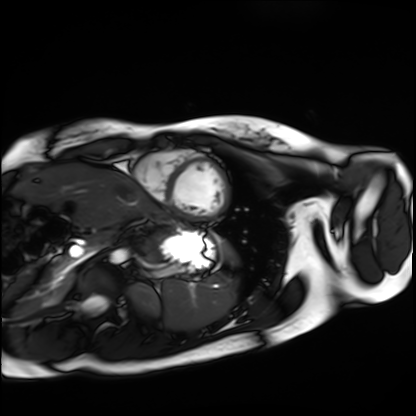
• modality — cardiac MRI
• subject group — healthy volunteer